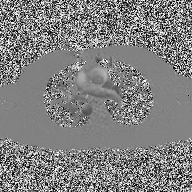
modality — 2D phase-contrast cine MRI of the ascending aorta.